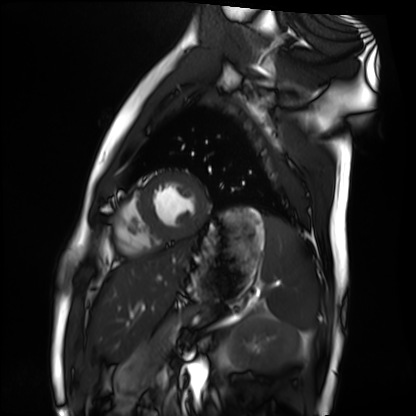
<case>
<modality>cardiac MRI</modality>
<cohort>healthy volunteer</cohort>
</case>